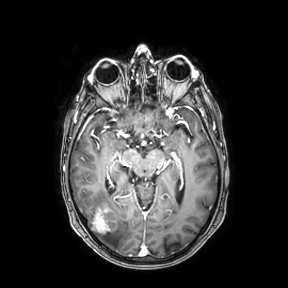
Summary: 3 Tesla brain MRI. Study: ring-enhancing brain masses.